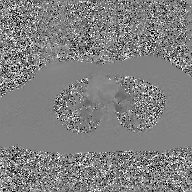
Clinical context:
2D phase-contrast cine MRI of the ascending aorta, GAN super-resolution reconstruction.